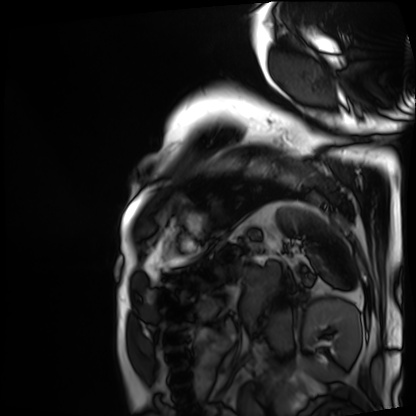
modality: cardiac MRI
subject group: patient